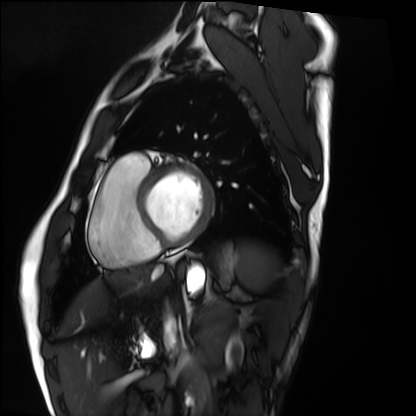
| field | value |
|---|---|
| modality | cardiac MRI |
| subject group | healthy volunteer |